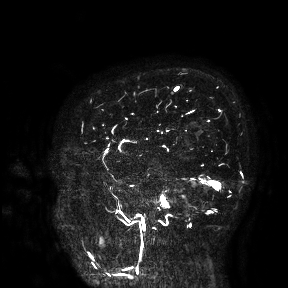
3 Tesla brain MRI. Study: ring-enhancing brain masses.